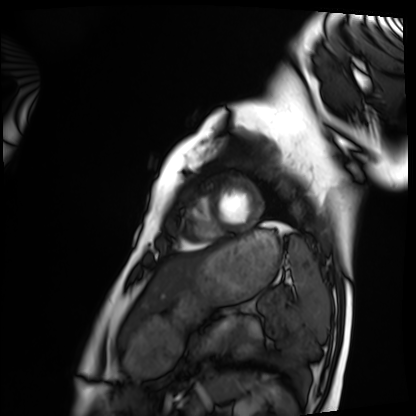
Cardiac MRI.
Subject group: healthy volunteer.